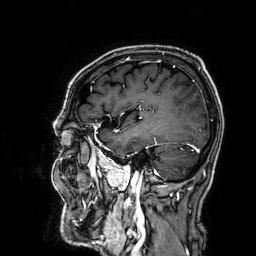
Case summary:
3 Tesla brain MRI. Series: 3D T1-weighted. Study: ring-enhancing brain masses.